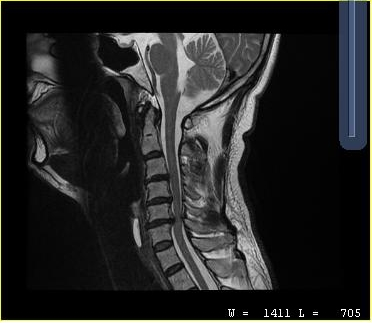
modality=MRI of the cervical spine | study=cervical spondylosis.